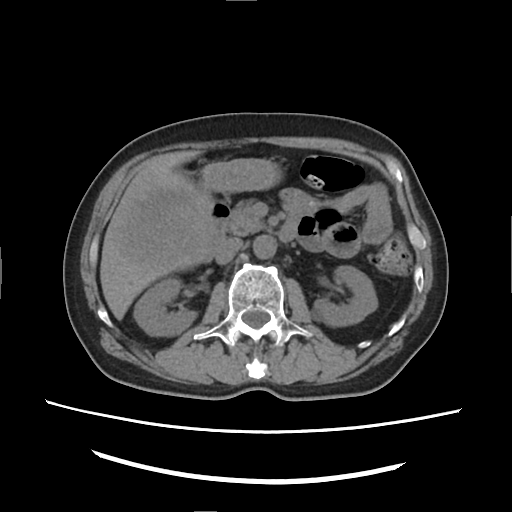
Clinical context:
Multiphase abdominal CT, liver, non-contrast phase. Patient: male, age 66.